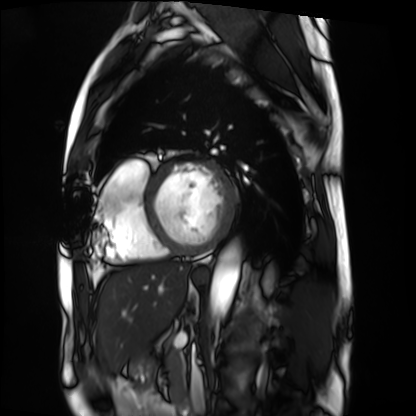
modality = cardiac MRI; subject group = patient.